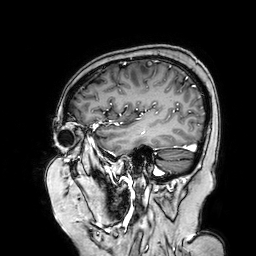
Case summary: 3 Tesla brain MRI. Study: ring-enhancing brain masses.